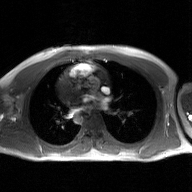
Q: What kind of scan is this?
A: 2D phase-contrast cine MRI of the ascending aorta, GAN super-resolution reconstruction.